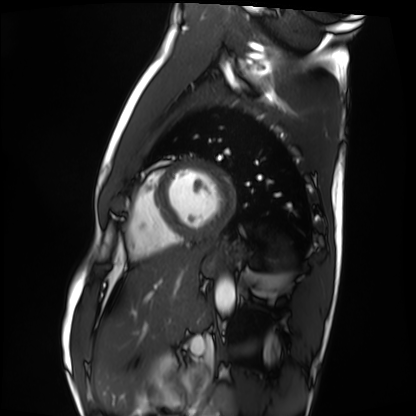
{"modality": "cardiac MRI", "cohort": "healthy volunteer"}